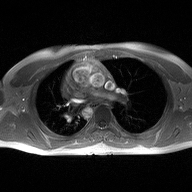
  modality:
    type: 2D phase-contrast cine MRI
    region: ascending aorta
    reconstruction: high-resolution GRAPPA acquisition